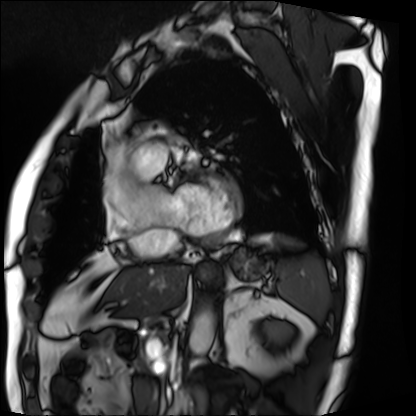
– modality — cardiac MRI
– subject group — patient